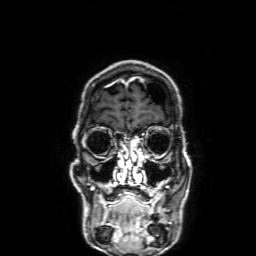
Q: What kind of scan is this?
A: 3 Tesla brain MRI.
Q: Series?
A: 3D T1-weighted with SENSE.
Study: ring-enhancing brain masses.